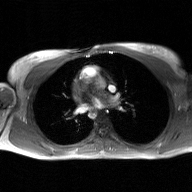
2D phase-contrast cine MRI of the ascending aorta, GAN super-resolution reconstruction.